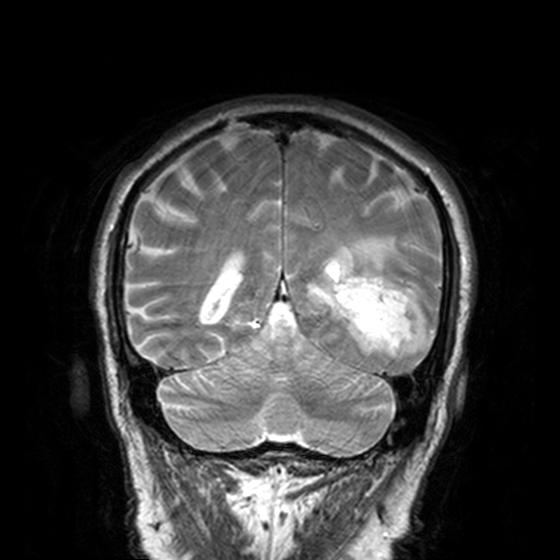
3 Tesla brain MRI. Series: T2-weighted turbo spin echo, 3 mm. Study: ring-enhancing brain masses.